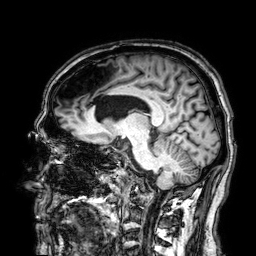
Q: What kind of scan is this?
A: 3 Tesla brain MRI.
Q: Series?
A: 3D T1-weighted.
Study: ring-enhancing brain masses.